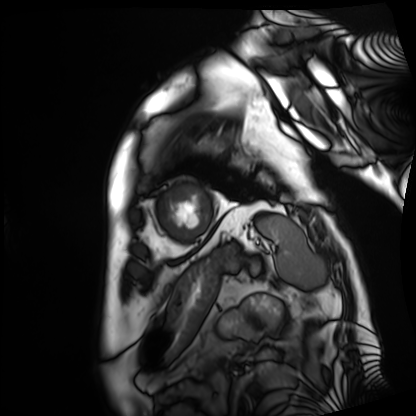
Summary:
Cardiac MRI. Subject group: patient.